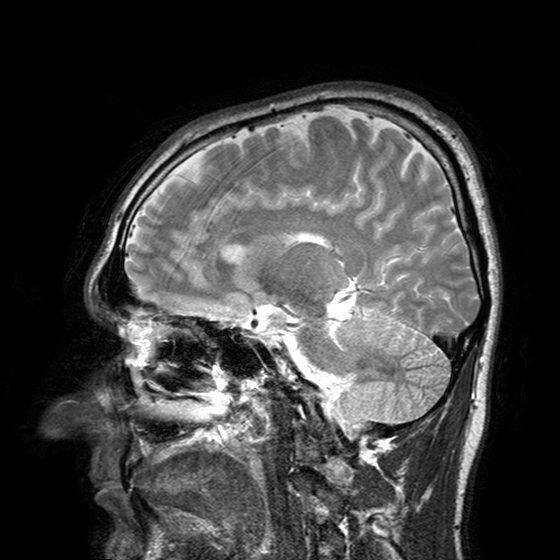
3 Tesla brain MRI. Series: T2-weighted turbo spin echo with SENSE. Study: ring-enhancing brain masses.